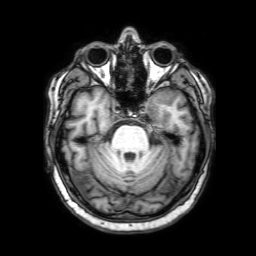
3 Tesla brain MRI.
Series: 3D T1-weighted with SENSE.
Study: ring-enhancing brain masses.